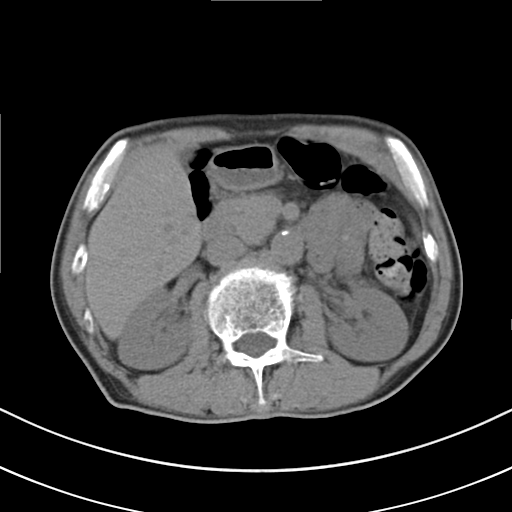
modality — multiphase abdominal CT, liver, non-contrast phase.